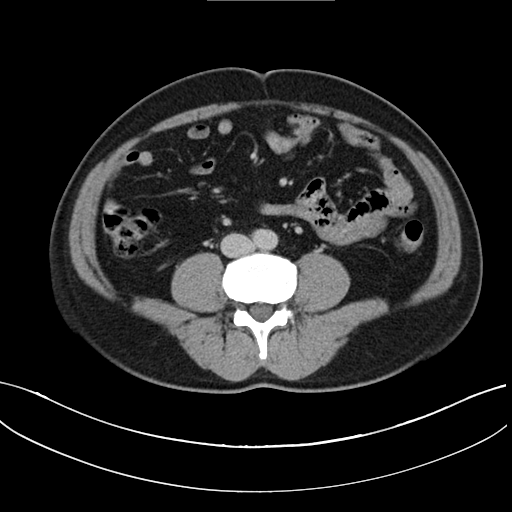
- modality: multiphase abdominal CT, liver, delayed phase
- patient: male, age 46